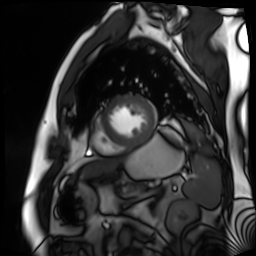
Summary:
Cardiac MR image of the myocardium. Subject cohort: cardiac patient.